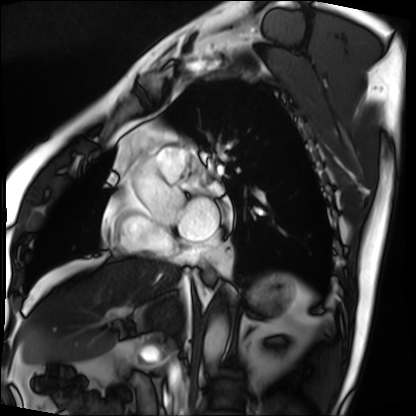
Q: What kind of scan is this?
A: Cardiac MRI.
Subject group: patient.